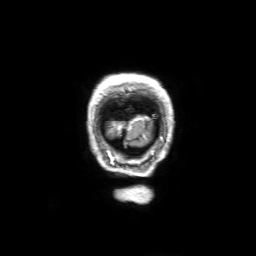
Summary: 3 Tesla brain MRI. Series: 3D T1-weighted with SENSE. Study: ring-enhancing brain masses.